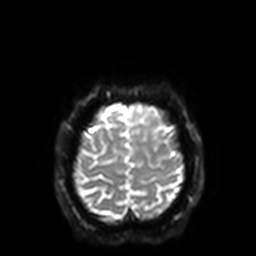
Q: What kind of scan is this?
A: 3 Tesla brain MRI.
Q: Series?
A: Diffusion-weighted imaging with SENSE (WIP).
Study: ring-enhancing brain masses.